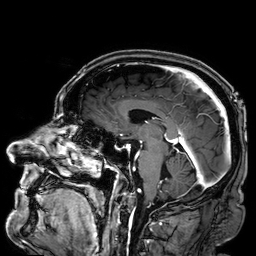
Summary: 3 Tesla brain MRI. Series: 3D T1-weighted. Study: ring-enhancing brain masses.